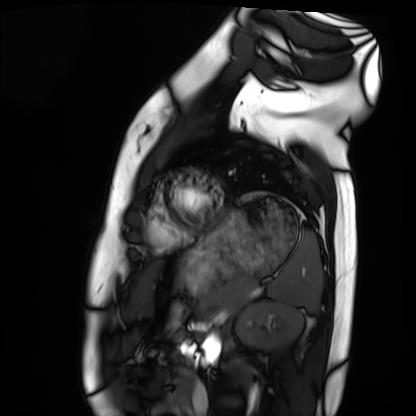
Cardiac MRI. Subject group: healthy volunteer.